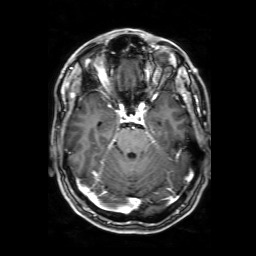
3 Tesla brain MRI. Study: ring-enhancing brain masses.